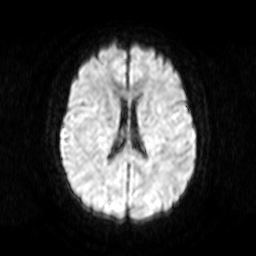
3 Tesla brain MRI. Series: diffusion-weighted imaging. Study: ring-enhancing brain masses.